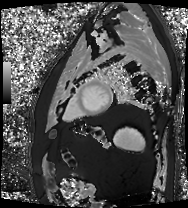
modality — cardiac MRI; subject group — patient.